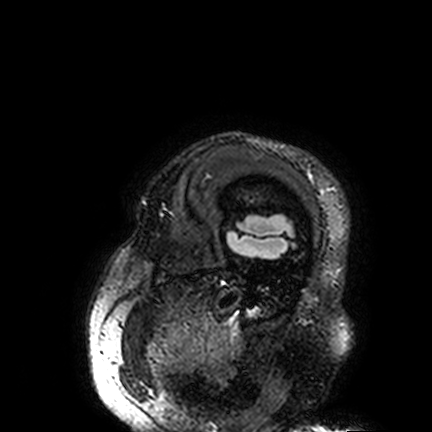
modality=3 Tesla brain MRI | series=FLAIR VISTA | study=ring-enhancing brain masses.